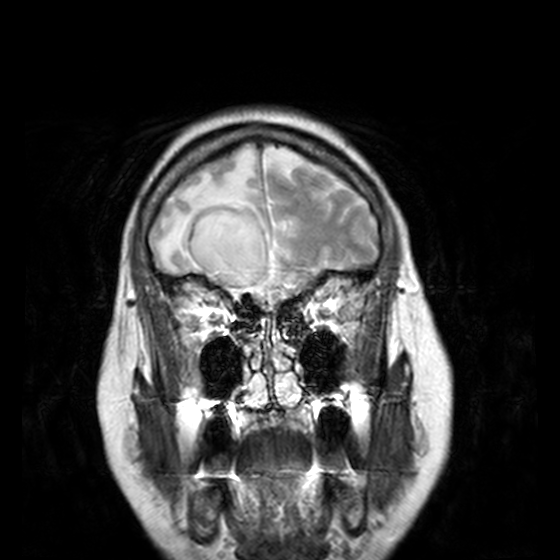
3 Tesla brain MRI.
Series: T2-weighted turbo spin echo, 3 mm.
Study: ring-enhancing brain masses.